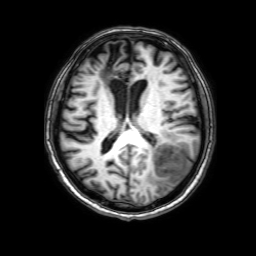
3 Tesla brain MRI.
Series: 3D T1-weighted with SENSE.
Study: ring-enhancing brain masses.